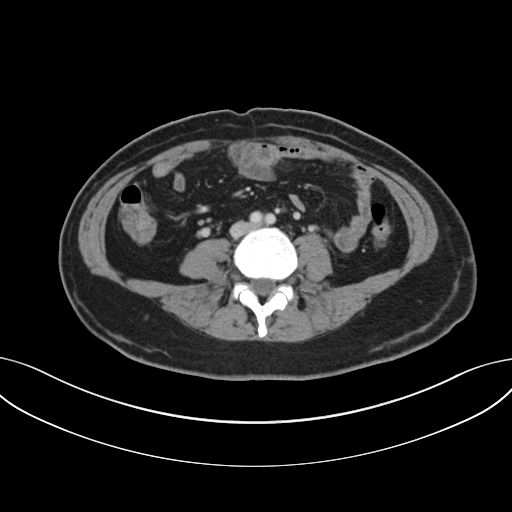
| field | value |
|---|---|
| modality | multiphase abdominal CT, liver, portal venous phase |
| patient | female, age 47 |
| history | prior chemotherapy |